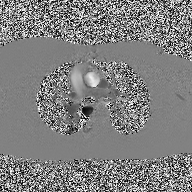
<record>
  <modality>
    <type>2D phase-contrast cine MRI</type>
    <region>ascending aorta</region>
    <reconstruction>high-resolution GRAPPA acquisition</reconstruction>
  </modality>
</record>